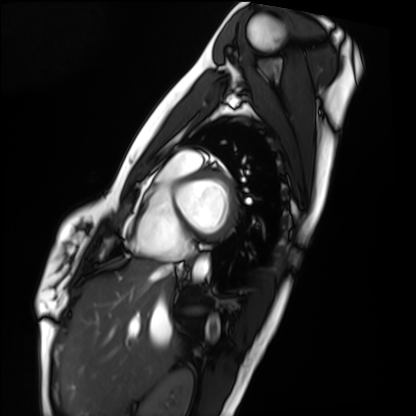
Summary:
Cardiac MRI. Subject group: healthy volunteer.